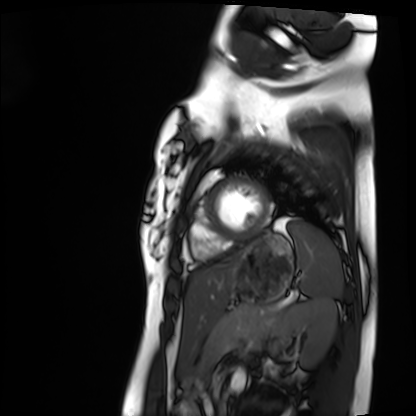
Q: What kind of scan is this?
A: Cardiac MRI.
Subject group: healthy volunteer.